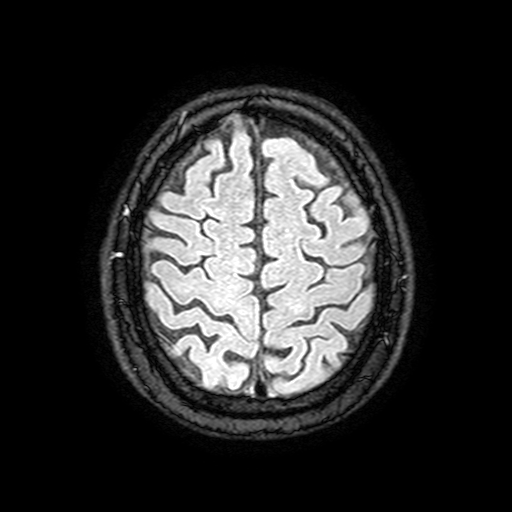
Q: What kind of scan is this?
A: 3 Tesla brain MRI.
Q: Series?
A: FLAIR with SPAIR, 3 mm.
Study: ring-enhancing brain masses.